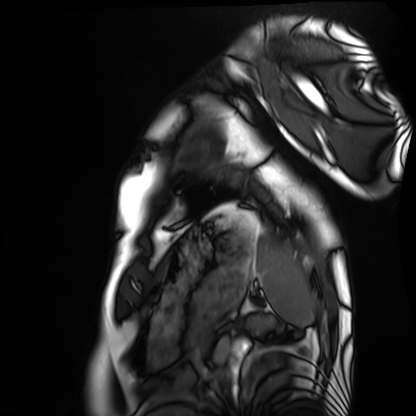
Cardiac MRI. Subject group: healthy volunteer.